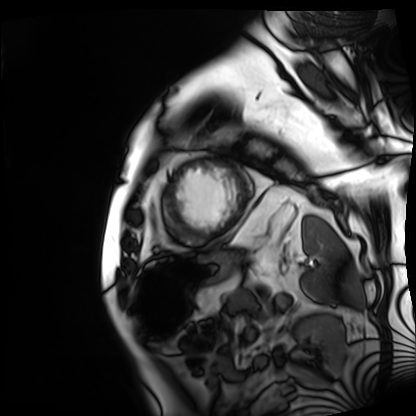
  modality: cardiac MRI
  cohort: patient